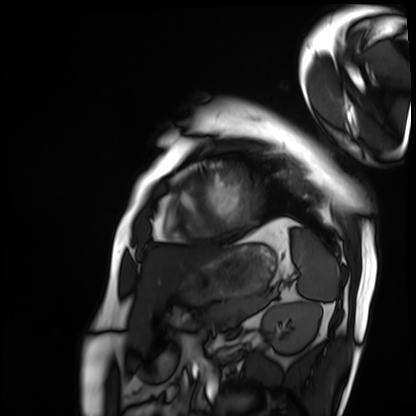
Cardiac MRI.
Subject group: patient.